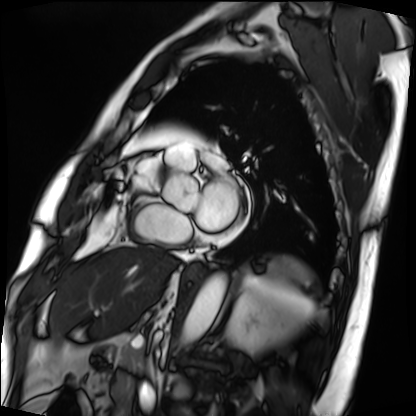
Cardiac MRI. Subject group: patient.